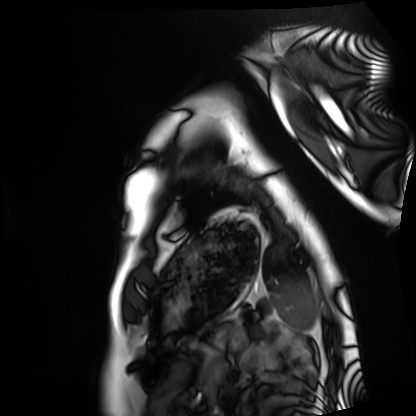
Cardiac MRI. Subject group: healthy volunteer.